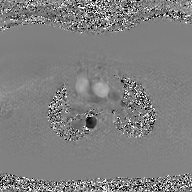
2D phase-contrast cine MRI of the ascending aorta, GAN super-resolution reconstruction.